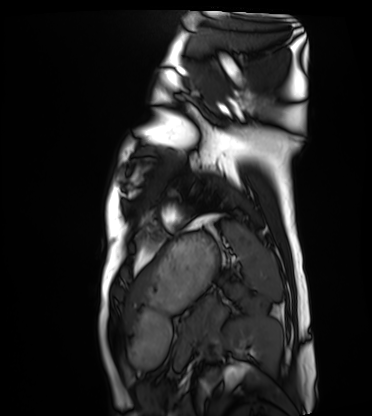
{"modality": "cardiac MRI", "cohort": "healthy volunteer"}